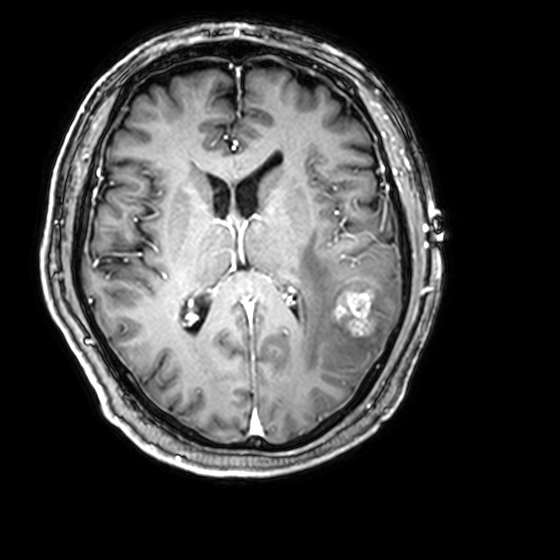
Q: What kind of scan is this?
A: 3 Tesla brain MRI.
Q: Series?
A: 3D T1-weighted with CLEAR.
Study: ring-enhancing brain masses.